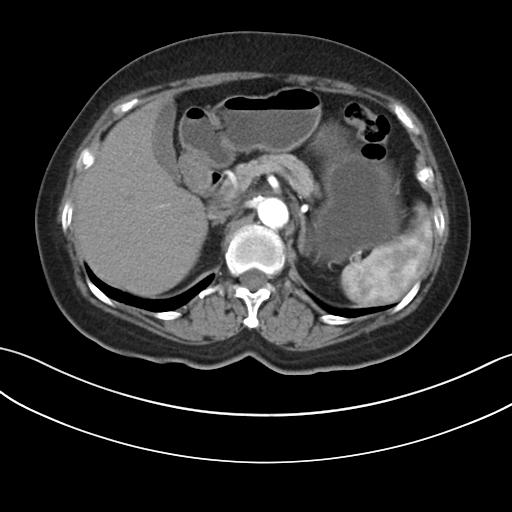
{"modality": {"type": "multiphase abdominal CT", "region": "liver", "phase": "arterial"}, "patient": {"sex": "female", "age": 64}}